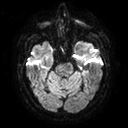
Summary: 3 Tesla brain MRI. Series: diffusion tensor imaging (medium iso). Study: ring-enhancing brain masses.